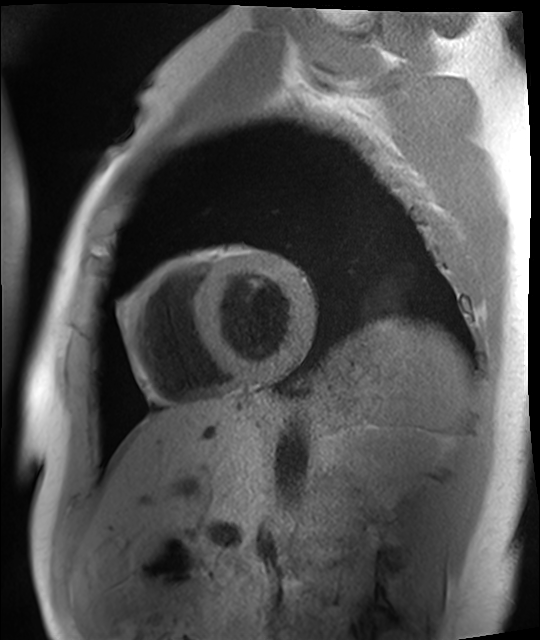
Cardiac MRI. Subject group: healthy volunteer.